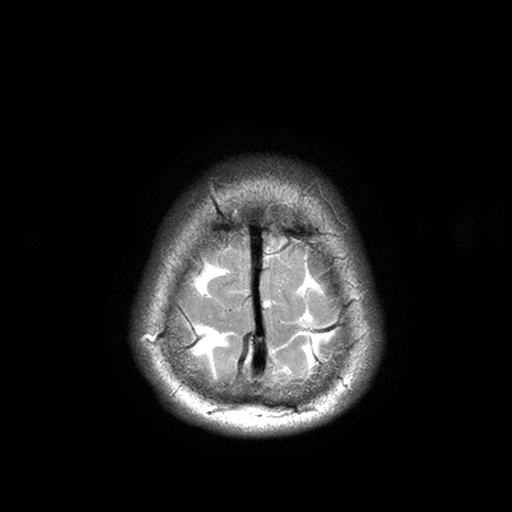
3 Tesla brain MRI. Study: ring-enhancing brain masses.